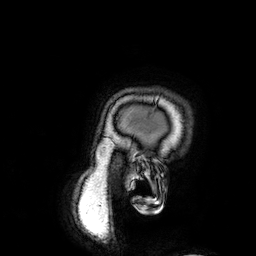
* modality · 3 Tesla brain MRI
* series · 3D T1-weighted
* study · ring-enhancing brain masses